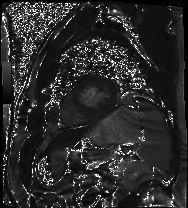
modality = cardiac MR image of the myocardium, subject cohort = cardiac patient.